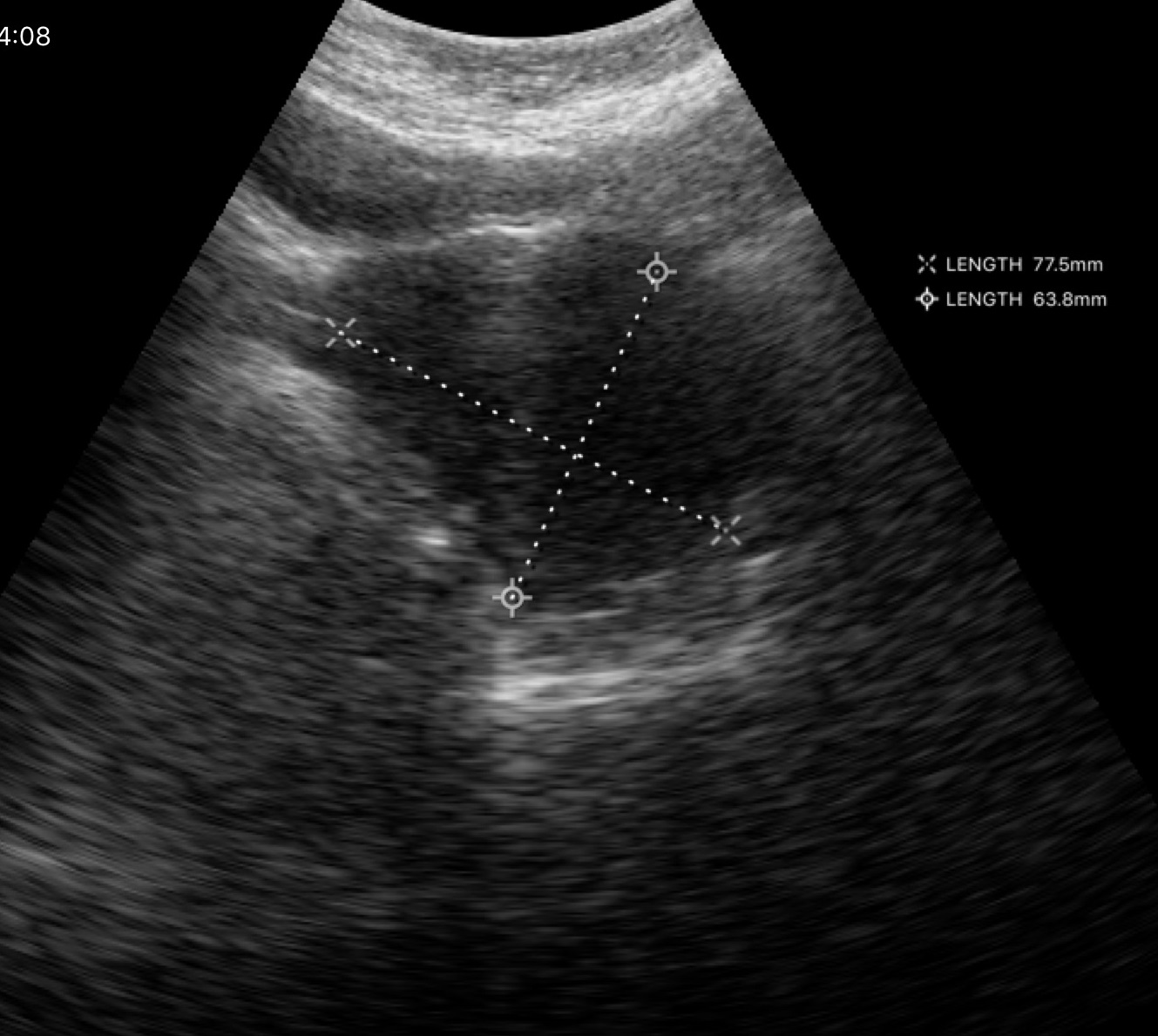
| field | value |
|---|---|
| modality | genitourinary ultrasound |